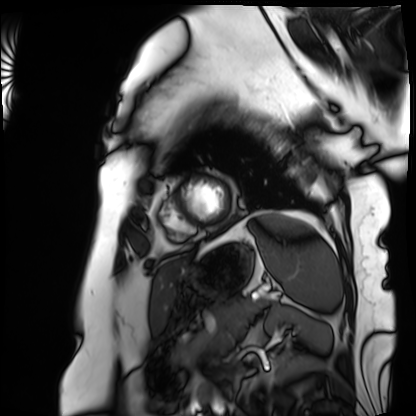
Summary:
Cardiac MRI. Subject group: patient.